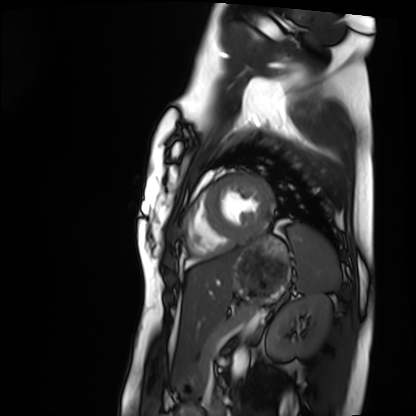
Cardiac MRI.
Subject group: healthy volunteer.